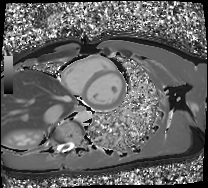
modality=cardiac MRI
subject group=healthy volunteer